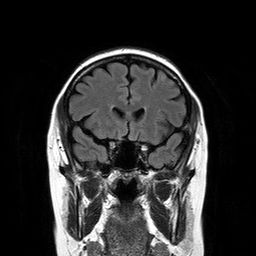
Q: What kind of scan is this?
A: 3 Tesla brain MRI.
Q: Series?
A: T2-weighted FLAIR.
Study: ring-enhancing brain masses.